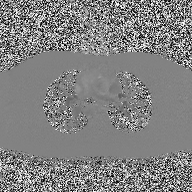
2D phase-contrast cine MRI of the ascending aorta, high-resolution GRAPPA acquisition.